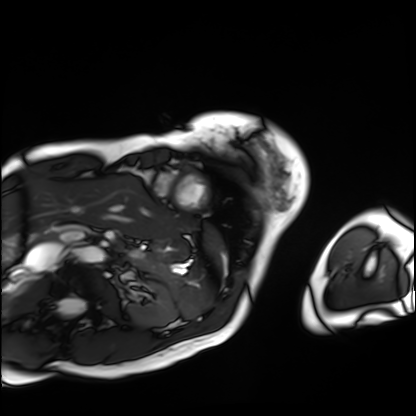
Q: What kind of scan is this?
A: Cardiac MRI.
Subject group: patient.